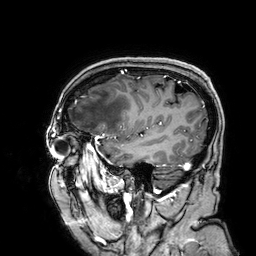
Clinical context: 3 Tesla brain MRI. Series: 3D T1-weighted. Study: ring-enhancing brain masses.